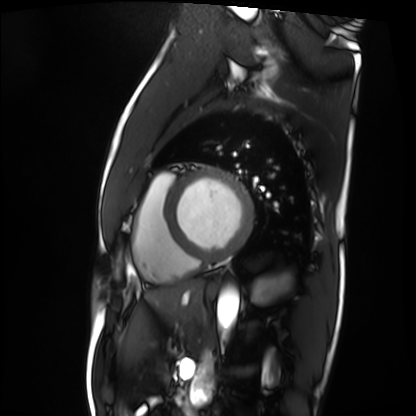
Case summary:
Cardiac MRI. Subject group: patient.